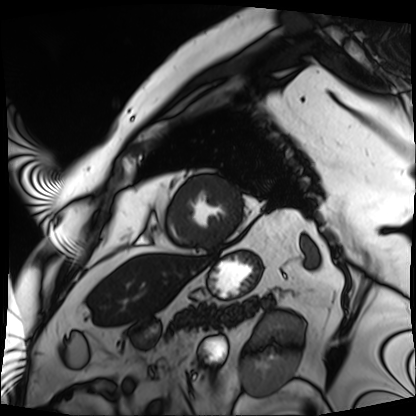
- modality · cardiac MRI
- subject group · patient